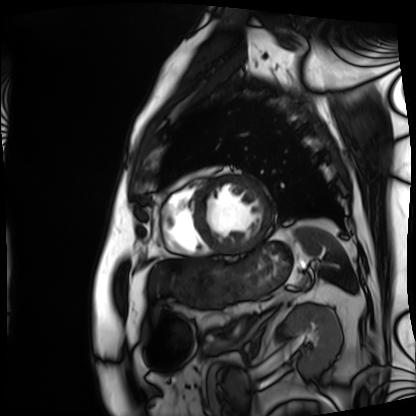
<record>
  <modality>cardiac MRI</modality>
  <cohort>patient</cohort>
</record>